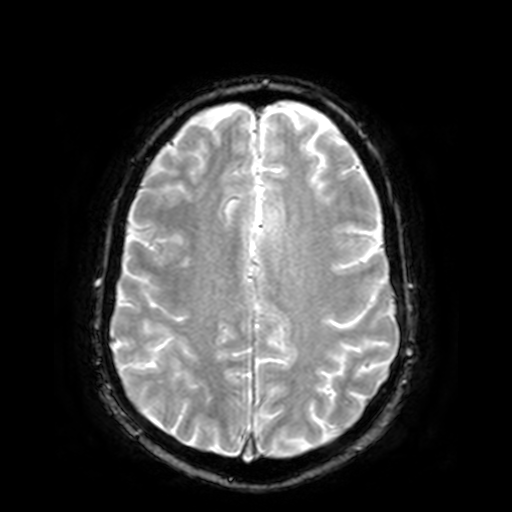
modality: 3 Tesla brain MRI; series: T2-weighted fast field echo; study: ring-enhancing brain masses.